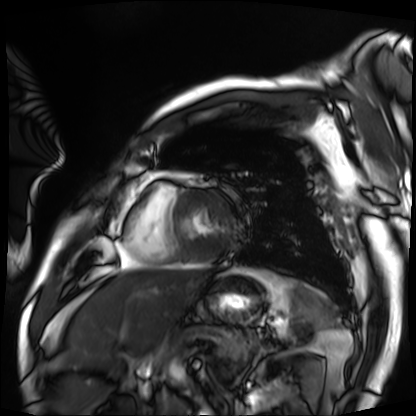
<study>
<modality>cardiac MRI</modality>
<cohort>patient</cohort>
</study>